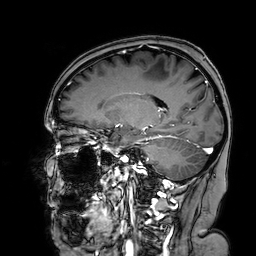
Summary:
3 Tesla brain MRI. Series: 3D T1-weighted turbo field echo with SENSE. Study: ring-enhancing brain masses.